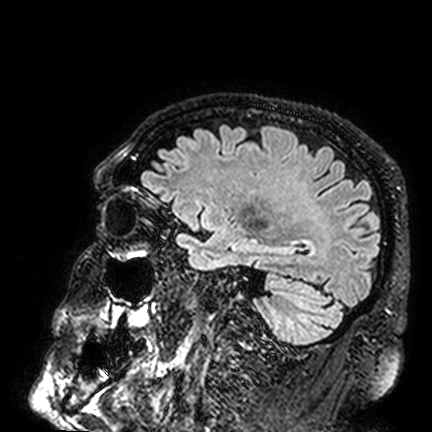
3 Tesla brain MRI. Series: FLAIR VISTA. Study: ring-enhancing brain masses.